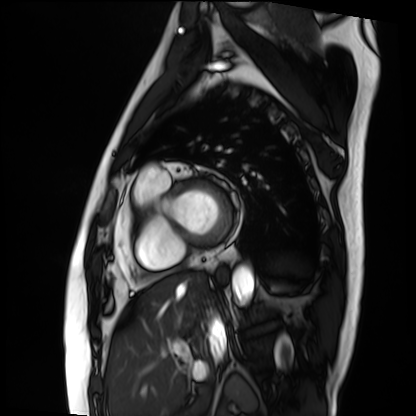
– modality · cardiac MRI
– subject group · patient